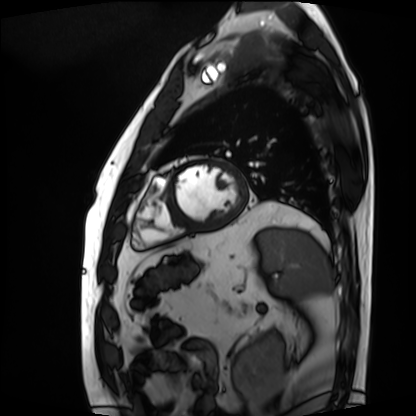
{"modality": "cardiac MRI", "cohort": "patient"}